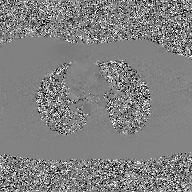
Summary: 2D phase-contrast cine MRI of the ascending aorta, GAN super-resolution reconstruction.